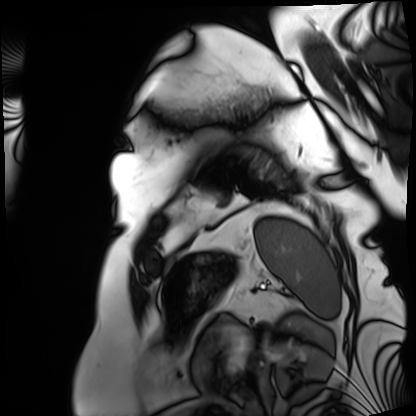
modality = cardiac MRI; subject group = patient.